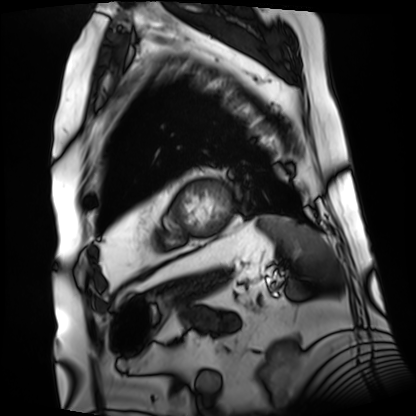
Q: What kind of scan is this?
A: Cardiac MRI.
Subject group: patient.